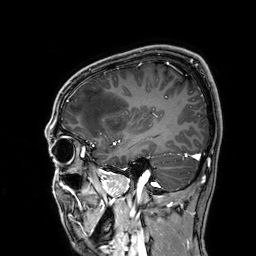
3 Tesla brain MRI. Series: 3D T1-weighted. Study: ring-enhancing brain masses.